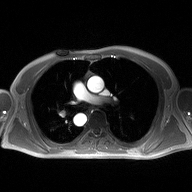
Summary: 2D phase-contrast cine MRI of the ascending aorta, high-resolution GRAPPA acquisition.